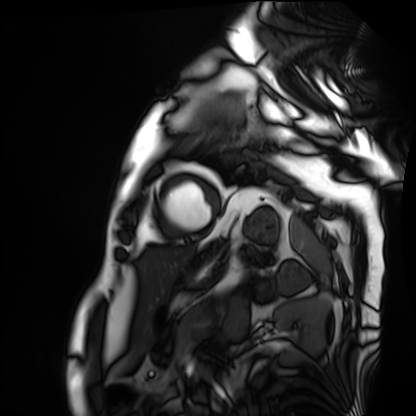
| field | value |
|---|---|
| modality | cardiac MRI |
| subject group | patient |